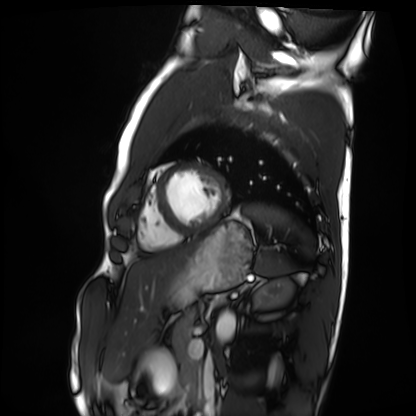
Summary:
Cardiac MRI. Subject group: healthy volunteer.